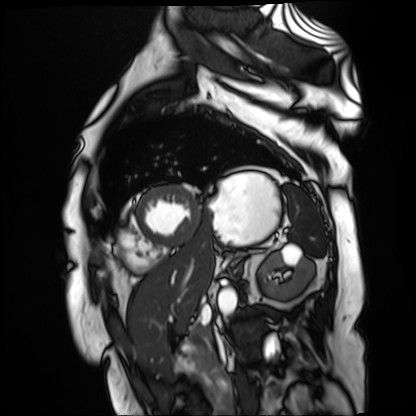
Cardiac MR image of the myocardium.
Subject cohort: cardiac patient.